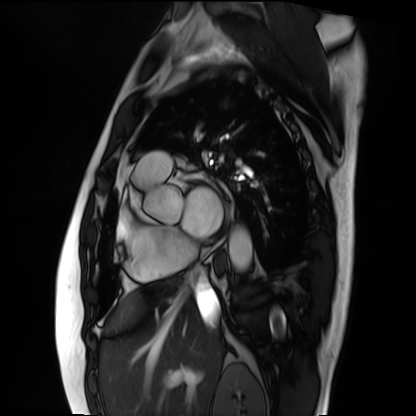
Summary: Cardiac MRI. Subject group: patient.